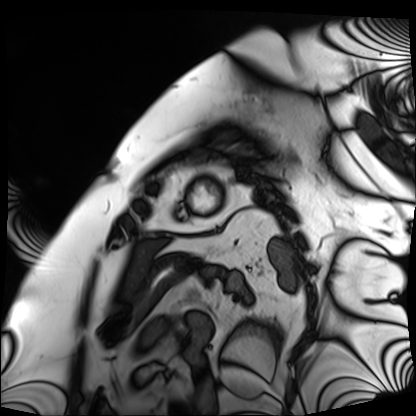
Case:
– modality · cardiac MRI
– subject group · patient